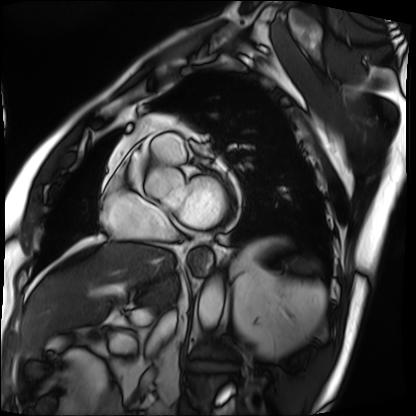
Summary: Cardiac MRI. Subject group: patient.